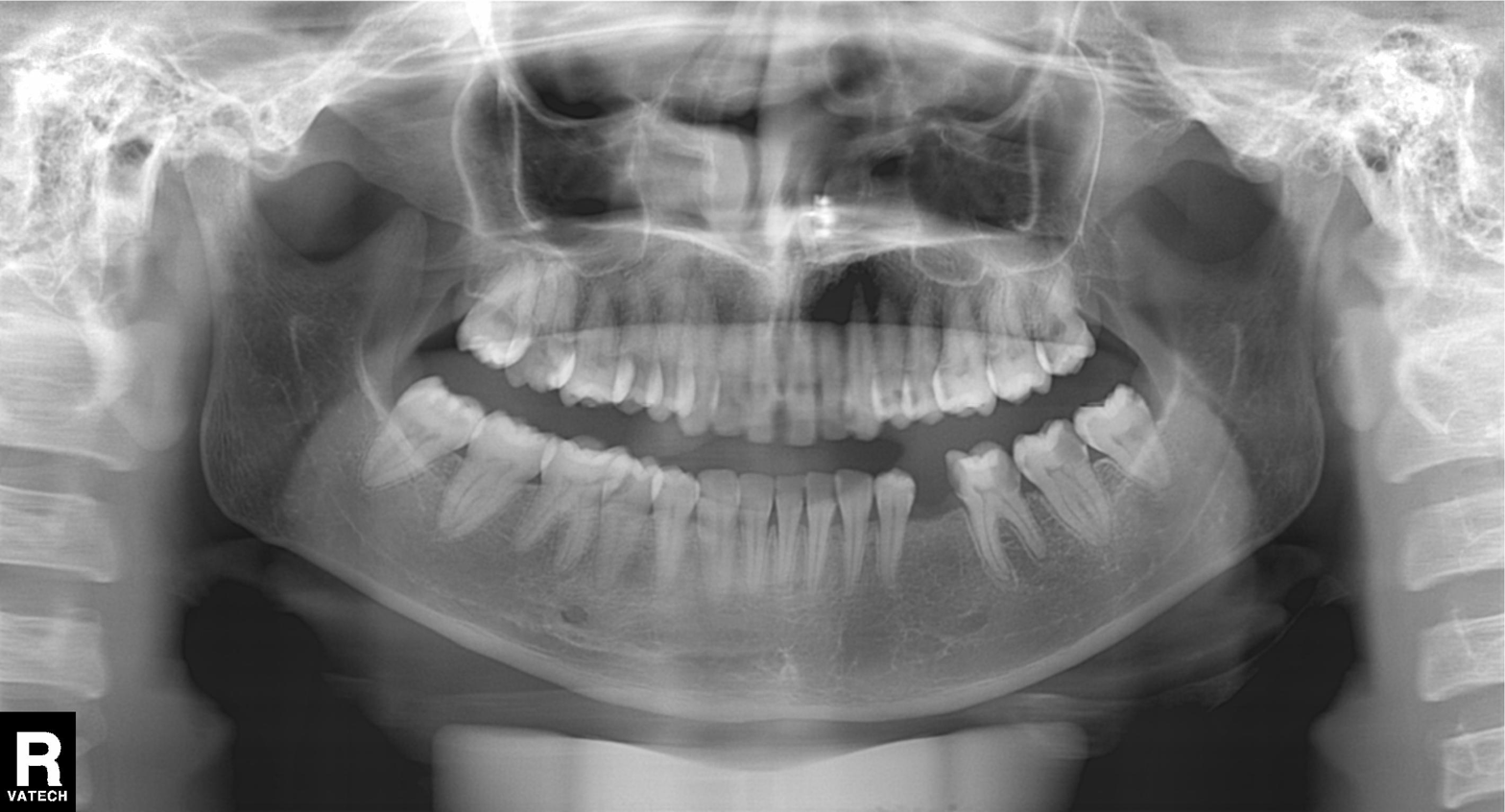
<scan>
  <modality>panoramic dental radiograph (orthopantomogram)</modality>
  <finding>dental caries (cavities)</finding>
</scan>